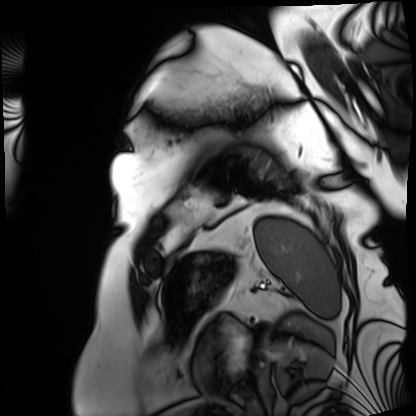
Q: What kind of scan is this?
A: Cardiac MRI.
Subject group: patient.